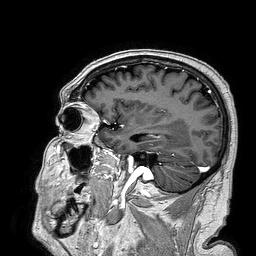
3 Tesla brain MRI.
Series: 3D T1-weighted turbo field echo.
Study: ring-enhancing brain masses.